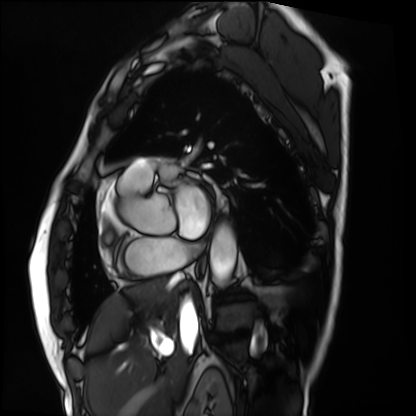
Summary: Cardiac MRI. Subject group: patient.